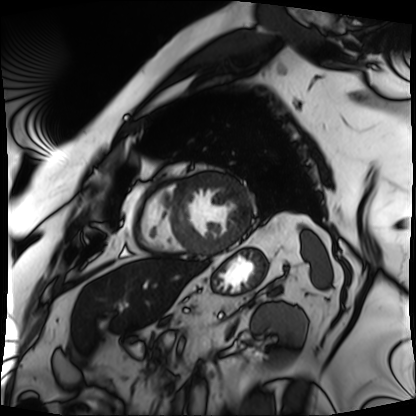
Cardiac MRI. Subject group: patient.